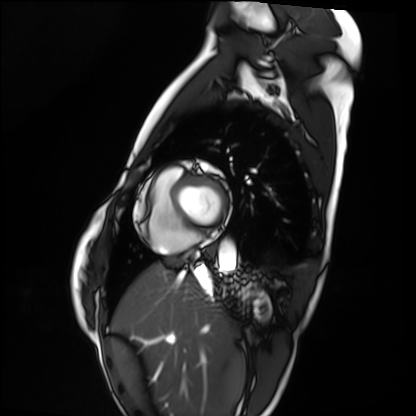
modality = cardiac MRI
subject group = healthy volunteer